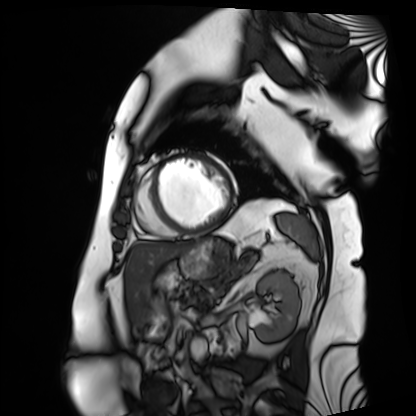
<case>
<modality>cardiac MRI</modality>
<cohort>patient</cohort>
</case>